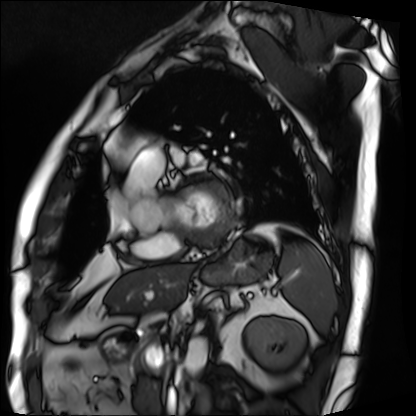
Clinical context:
Cardiac MRI. Subject group: patient.